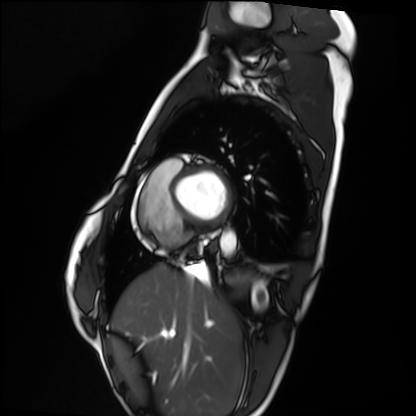
Cardiac MRI. Subject group: healthy volunteer.